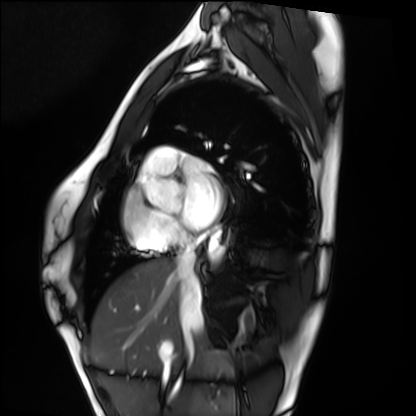
Cardiac MRI.
Subject group: healthy volunteer.